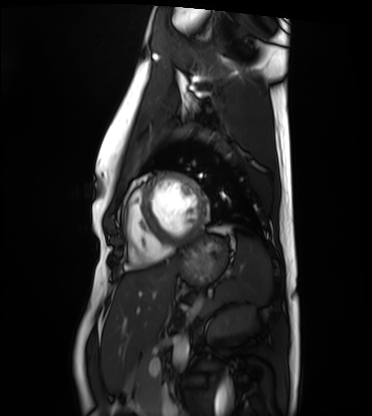
Cardiac MRI. Subject group: healthy volunteer.